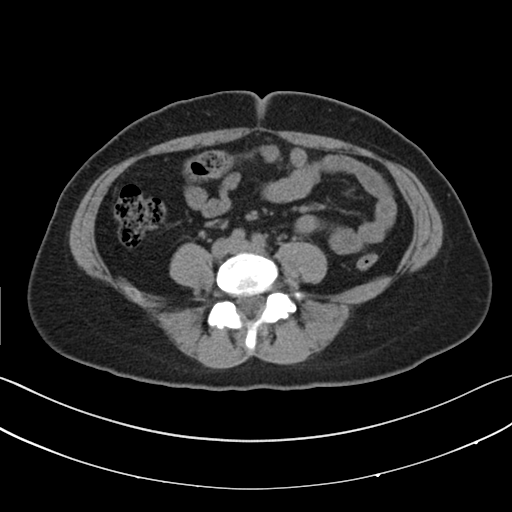
Summary: Multiphase abdominal CT, liver, non-contrast phase. Patient: female, age 39.